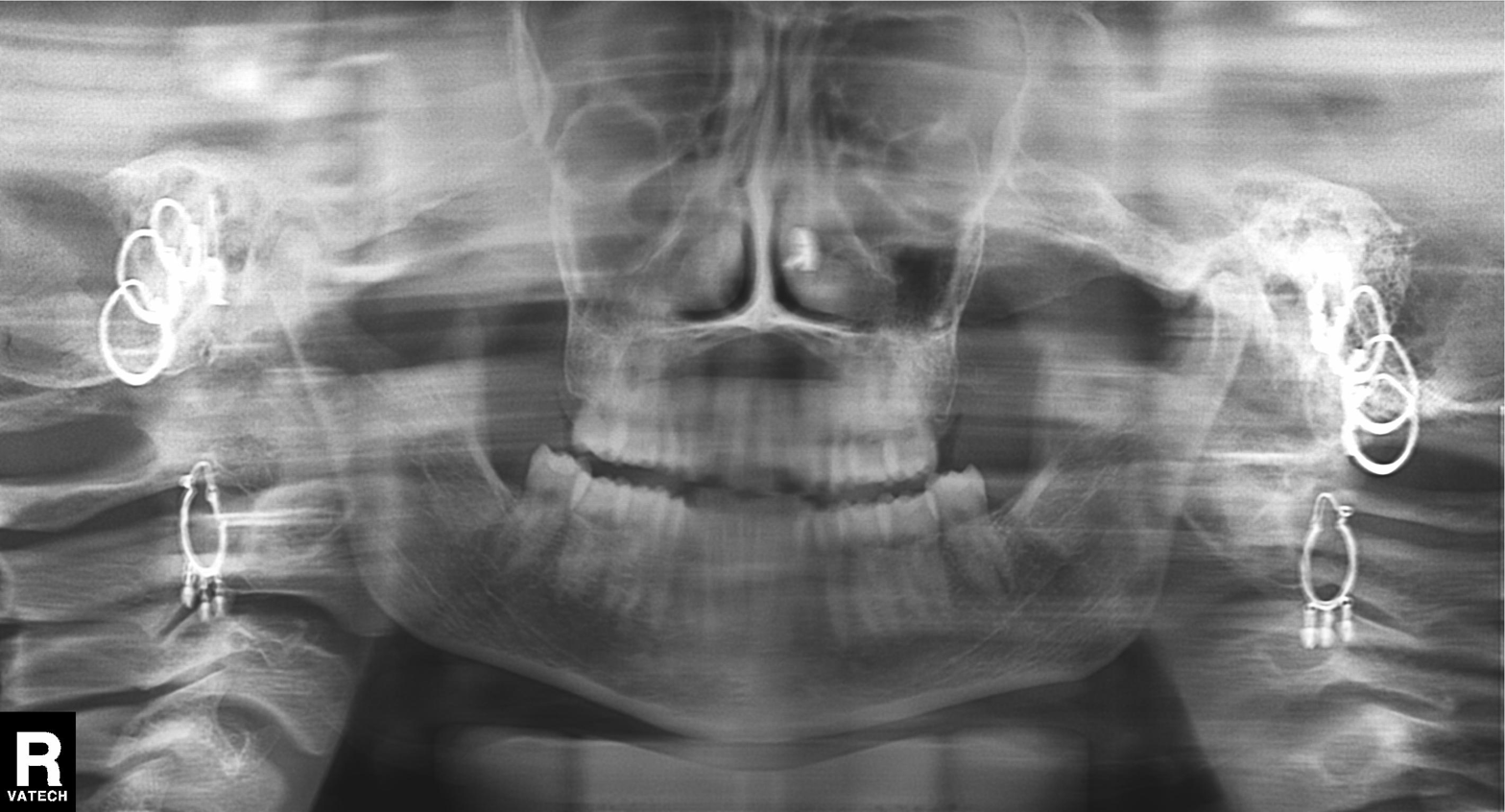
Panoramic dental radiograph (orthopantomogram).
Finding: dental caries (cavities).